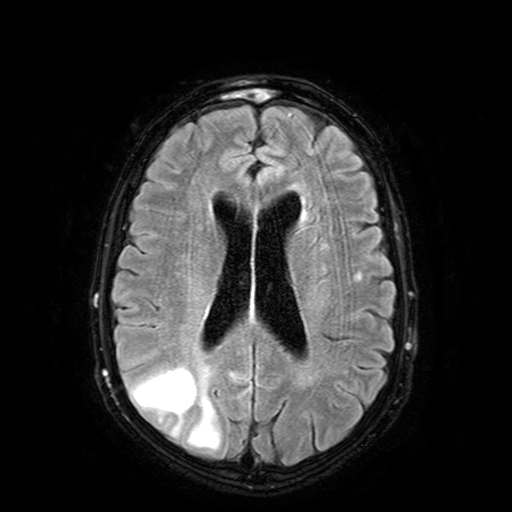
Summary: 3 Tesla brain MRI. Series: FLAIR with SPAIR. Study: ring-enhancing brain masses.